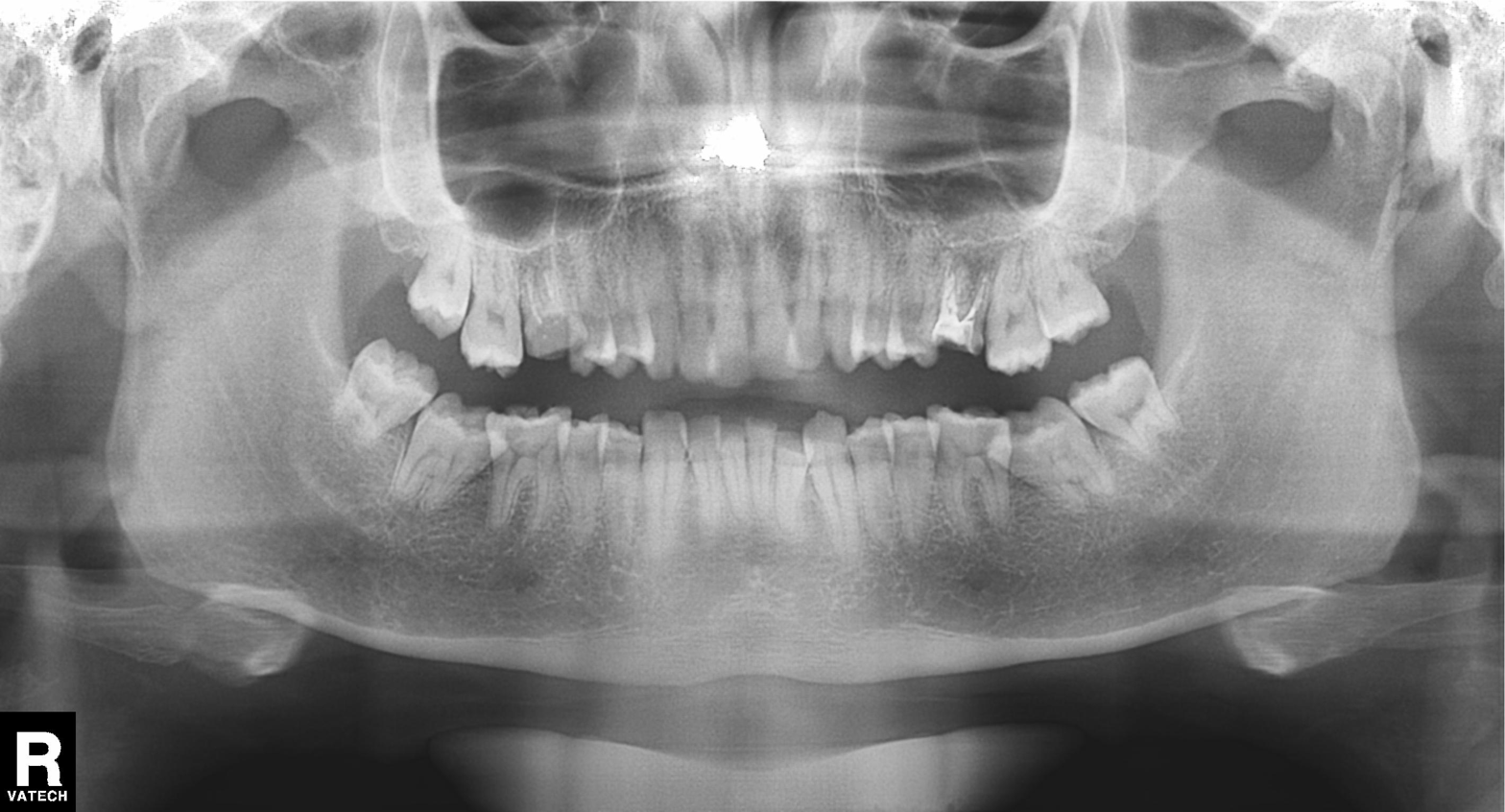
modality: panoramic dental radiograph (orthopantomogram)
finding: alveolar bone loss